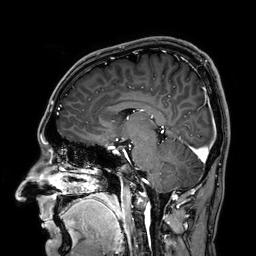
3 Tesla brain MRI.
Series: 3D T1-weighted.
Study: ring-enhancing brain masses.